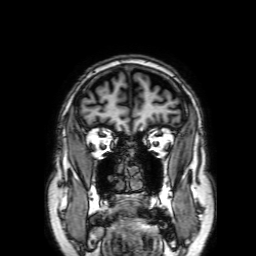
Case summary: 3 Tesla brain MRI. Series: 3D T1-weighted with SENSE. Study: ring-enhancing brain masses.